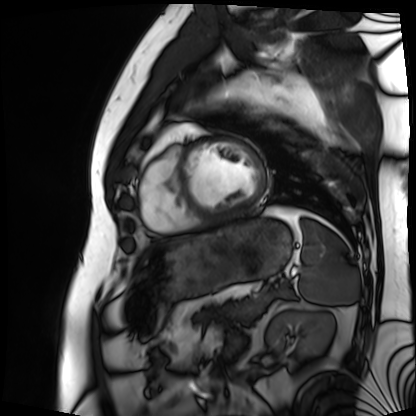
modality: cardiac MRI, subject group: patient.